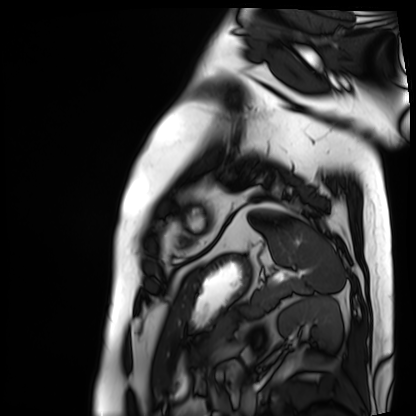
modality: cardiac MRI
subject group: patient